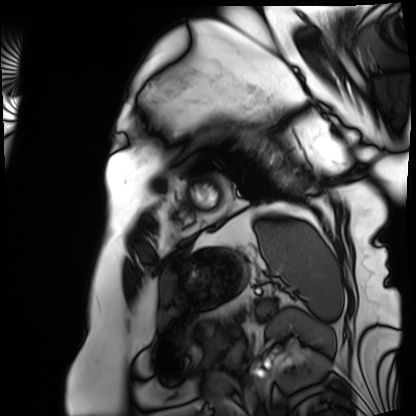
Cardiac MRI. Subject group: patient.